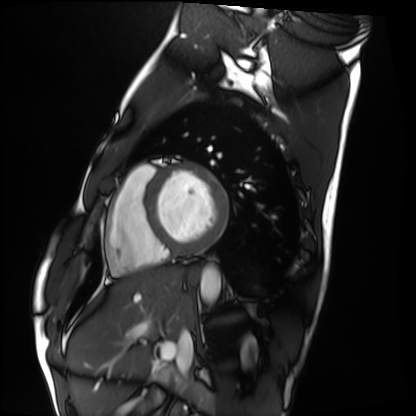
Cardiac MRI. Subject group: healthy volunteer.